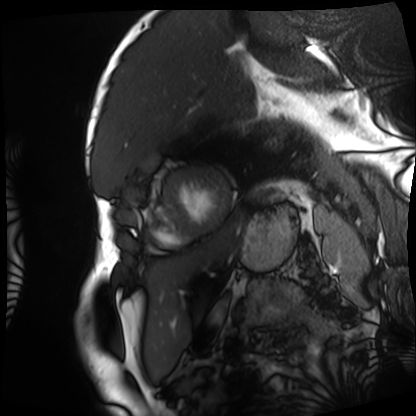
Case:
- modality: cardiac MRI
- subject group: patient